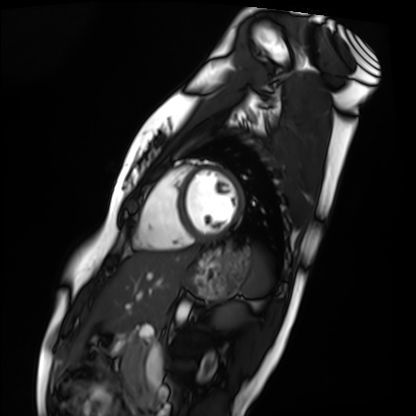
Cardiac MRI.
Subject group: healthy volunteer.